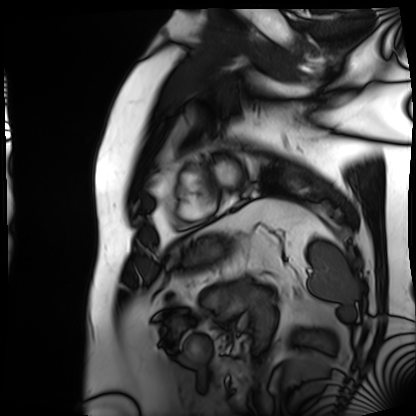
Cardiac MRI. Subject group: patient.